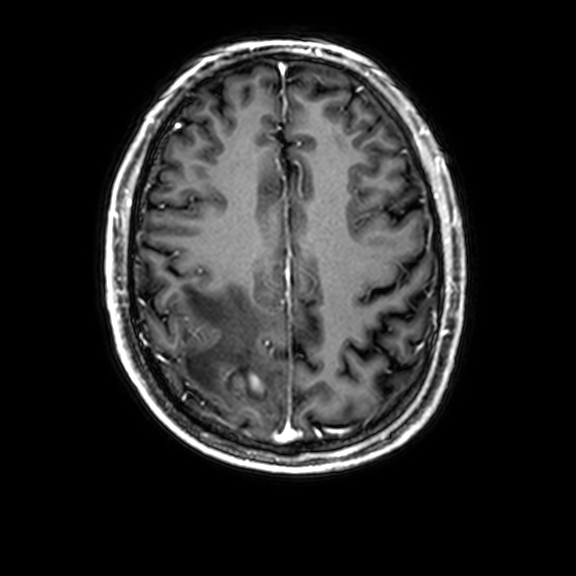
modality: 3 Tesla brain MRI; series: 3D T1-weighted with CLEAR; study: ring-enhancing brain masses.